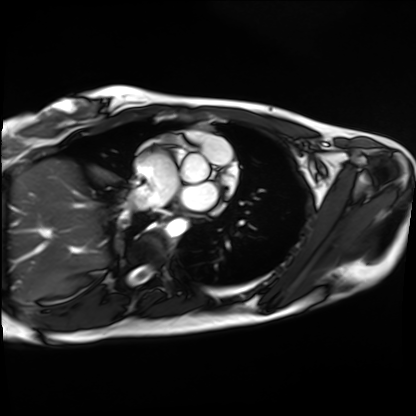
Clinical context:
Cardiac MRI. Subject group: healthy volunteer.